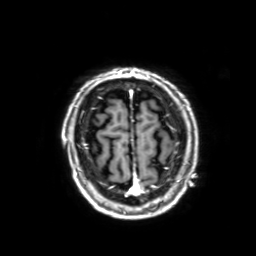
modality = 3 Tesla brain MRI; series = 3D T1-weighted with SENSE; study = ring-enhancing brain masses.